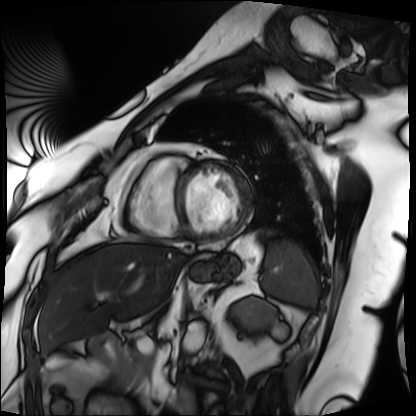
Summary:
Cardiac MRI. Subject group: patient.